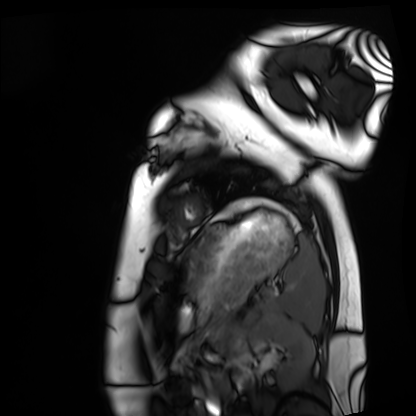
modality: cardiac MRI
subject group: healthy volunteer